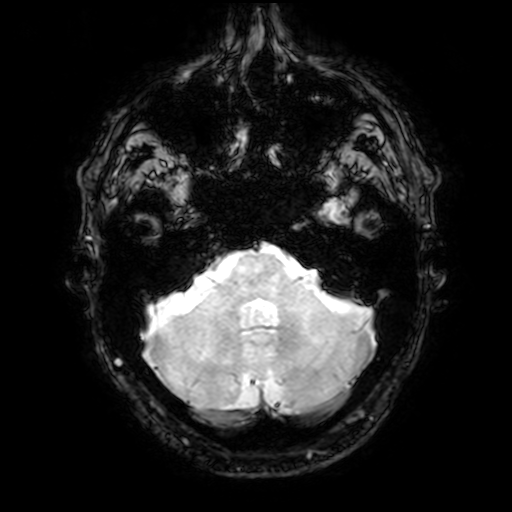
modality = 3 Tesla brain MRI; study = ring-enhancing brain masses.